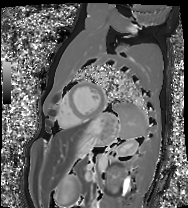
{"modality": "cardiac MRI", "cohort": "healthy volunteer"}